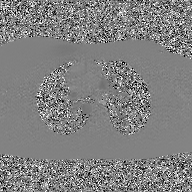
2D phase-contrast cine MRI of the ascending aorta, GAN super-resolution reconstruction.